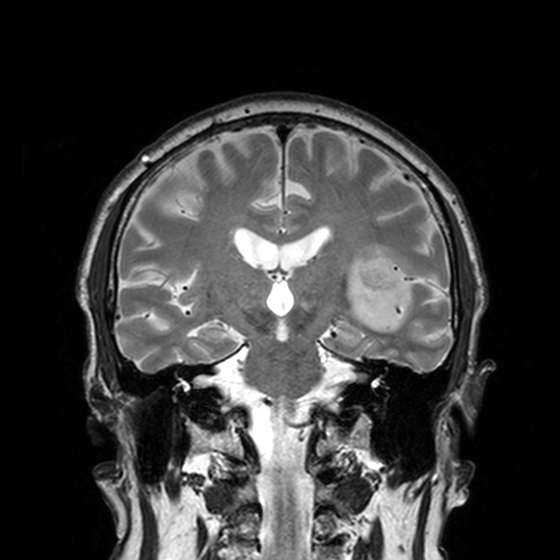
Q: What kind of scan is this?
A: 3 Tesla brain MRI.
Q: Series?
A: T2-weighted turbo spin echo, 3 mm.
Study: ring-enhancing brain masses.